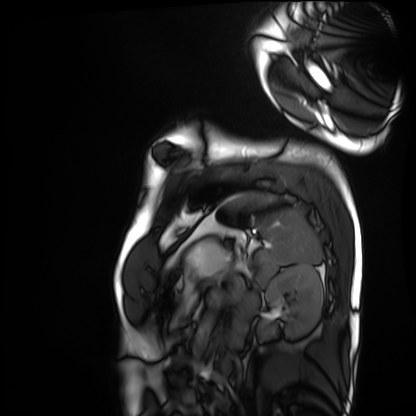
{
  "modality": "cardiac MRI",
  "cohort": "healthy volunteer"
}